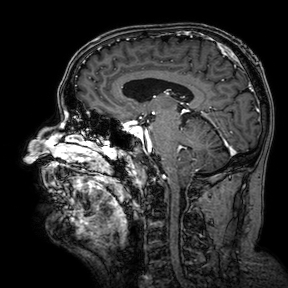
Case:
* modality: 3 Tesla brain MRI
* series: 3D T1-weighted turbo field echo with SENSE
* study: ring-enhancing brain masses